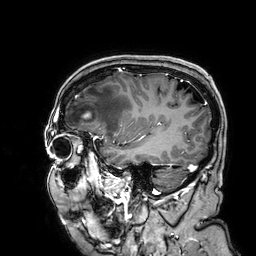
3 Tesla brain MRI.
Series: 3D T1-weighted.
Study: ring-enhancing brain masses.